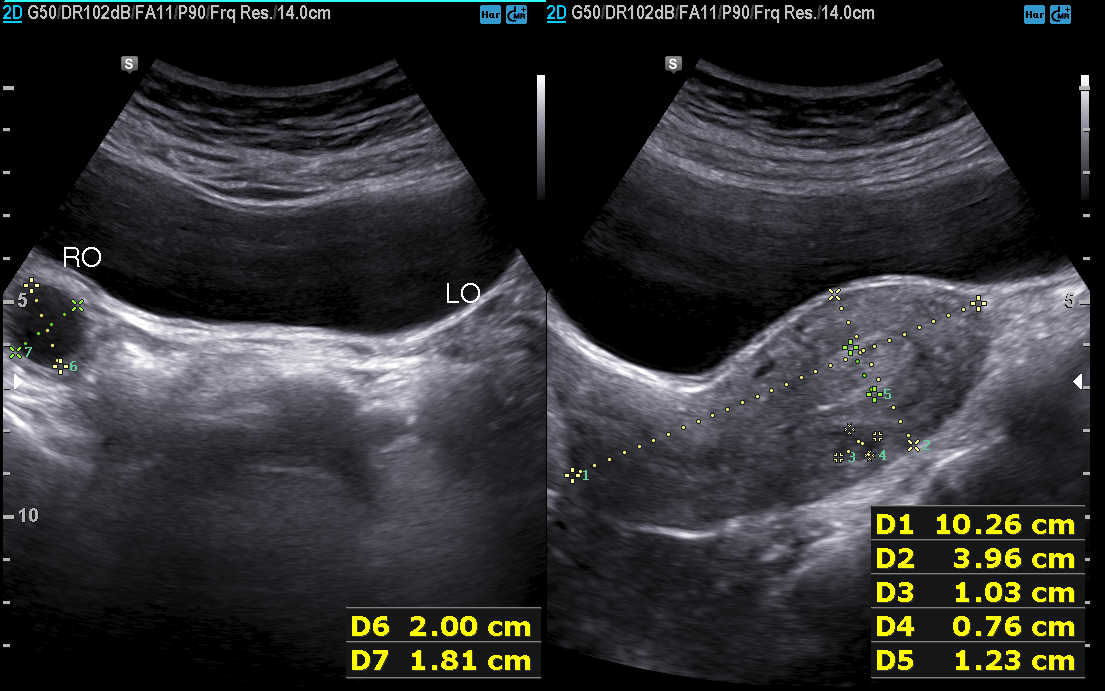
<case>
  <modality>
    <type>genitourinary ultrasound</type>
  </modality>
</case>